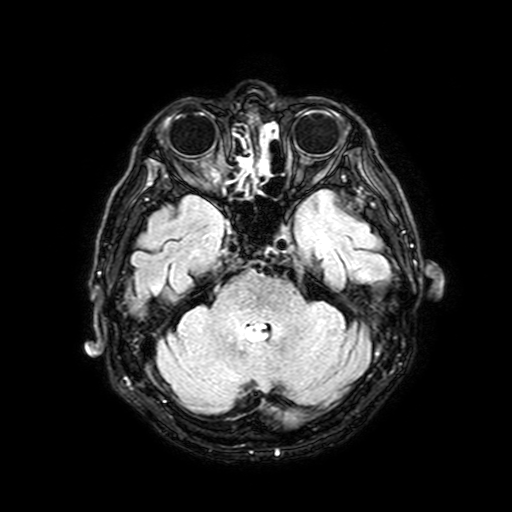
3 Tesla brain MRI.
Series: FLAIR with SPAIR, 3 mm.
Study: ring-enhancing brain masses.